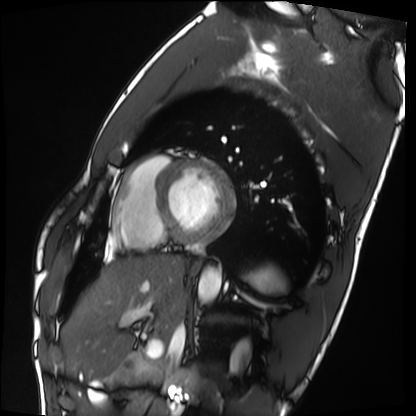
Cardiac MRI. Subject group: healthy volunteer.